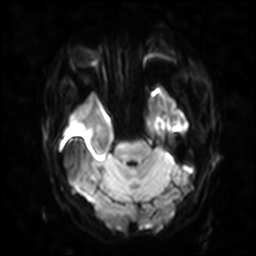
3 Tesla brain MRI.
Series: diffusion-weighted imaging with SENSE (WIP).
Study: ring-enhancing brain masses.